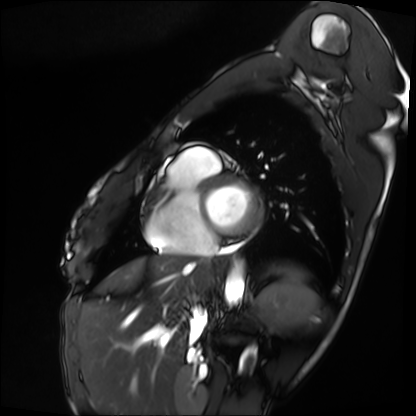
Cardiac MRI.
Subject group: patient.